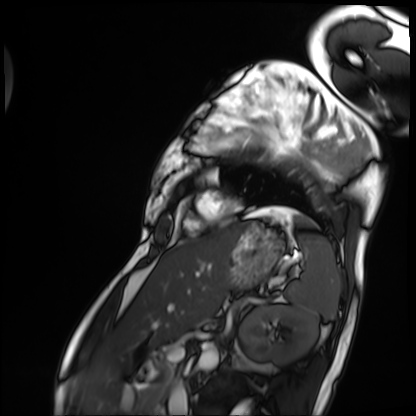
<case>
  <modality>cardiac MRI</modality>
  <cohort>patient</cohort>
</case>